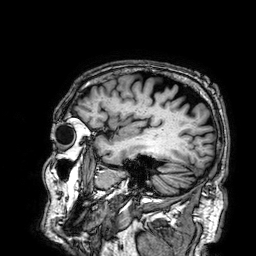
• modality: 3 Tesla brain MRI
• series: 3D T1-weighted
• study: ring-enhancing brain masses